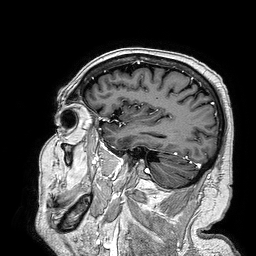
Case:
• modality: 3 Tesla brain MRI
• series: 3D T1-weighted turbo field echo
• study: ring-enhancing brain masses